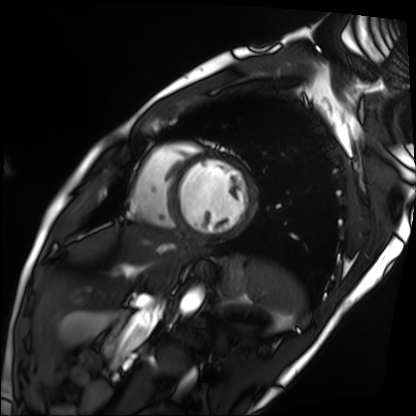
<case>
  <modality>cardiac MRI</modality>
  <cohort>patient</cohort>
</case>